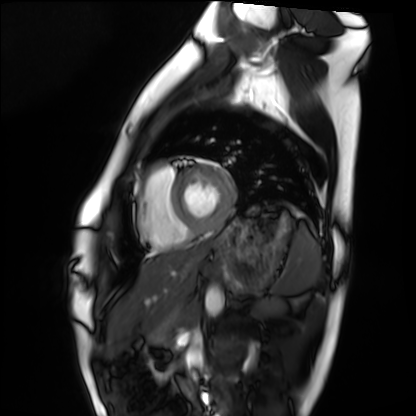
modality: cardiac MRI; subject group: healthy volunteer.